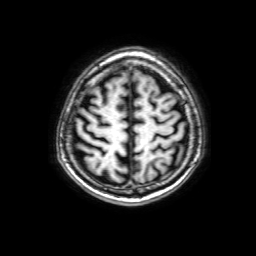
Clinical context: 3 Tesla brain MRI. Series: 3D T1-weighted with SENSE. Study: ring-enhancing brain masses.